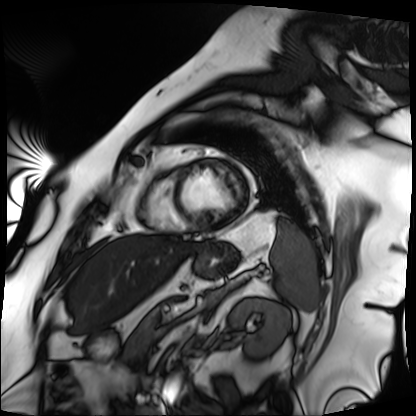
Summary: Cardiac MRI. Subject group: patient.